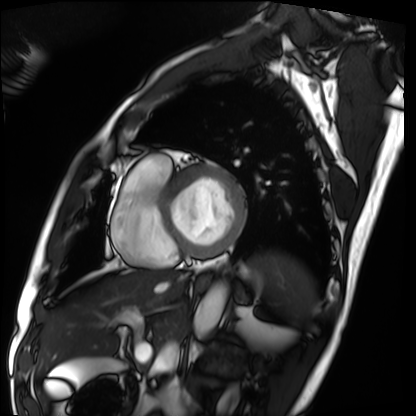
Cardiac MRI. Subject group: patient.